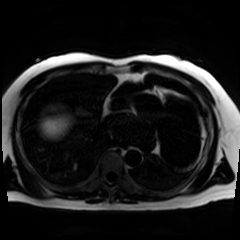
{
  "modality": "chemical-shift-encoded cardiac MRI"
}